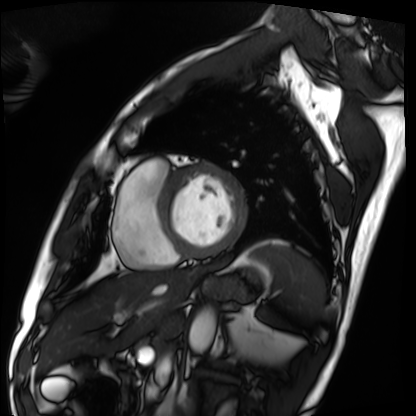
<study>
<modality>cardiac MRI</modality>
<cohort>patient</cohort>
</study>